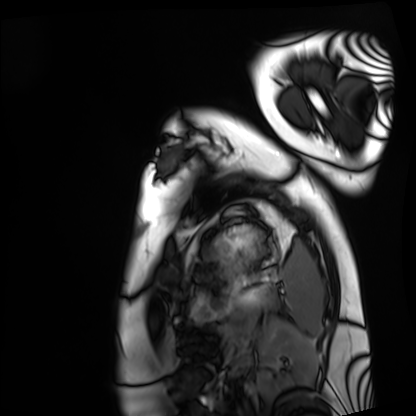
Cardiac MRI.
Subject group: healthy volunteer.